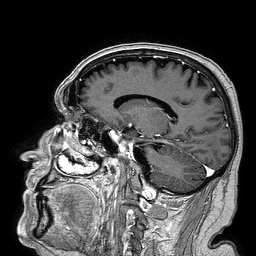
3 Tesla brain MRI.
Series: 3D T1-weighted turbo field echo.
Study: ring-enhancing brain masses.